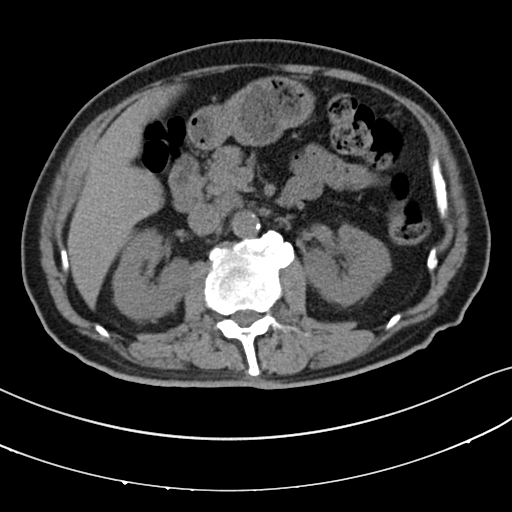
modality: multiphase abdominal CT, liver, non-contrast phase
patient: male, age 64